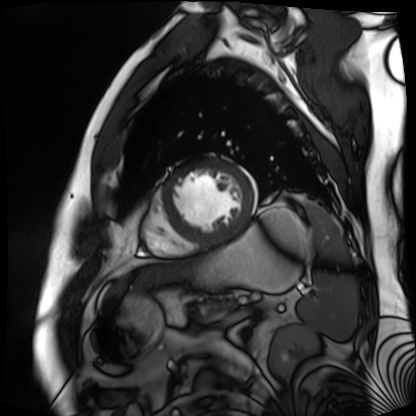
Cardiac MR image of the myocardium. Subject cohort: cardiac patient.